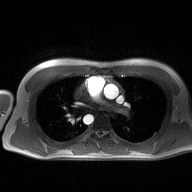
modality: 2D phase-contrast cine MRI of the ascending aorta.